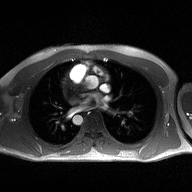
Q: What kind of scan is this?
A: 2D phase-contrast cine MRI of the ascending aorta.